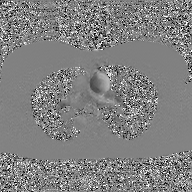
Case:
- modality · 2D phase-contrast cine MRI of the ascending aorta, GAN super-resolution reconstruction